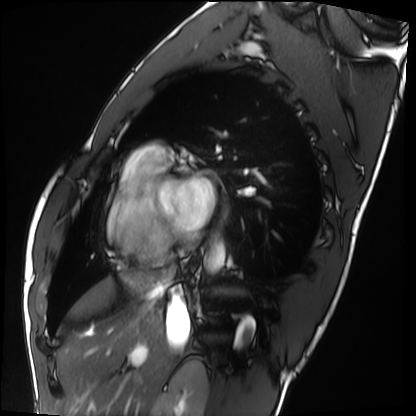
Q: What kind of scan is this?
A: Cardiac MRI.
Subject group: healthy volunteer.